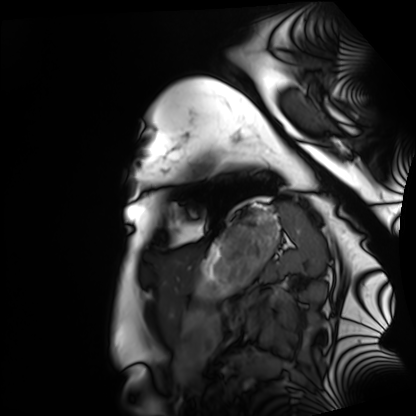
Clinical context:
Cardiac MRI. Subject group: healthy volunteer.